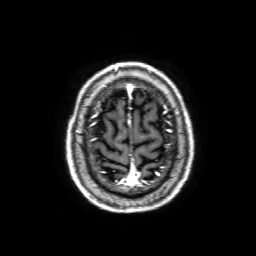
Case:
- modality: 3 Tesla brain MRI
- series: 3D T1-weighted with SENSE
- study: ring-enhancing brain masses